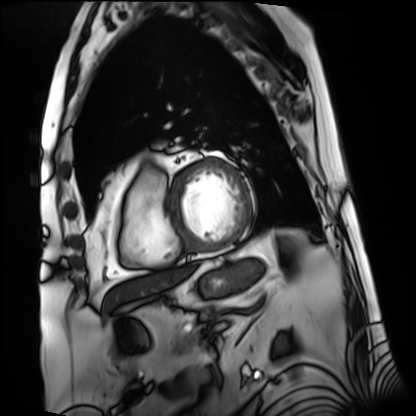
Cardiac MRI. Subject group: patient.